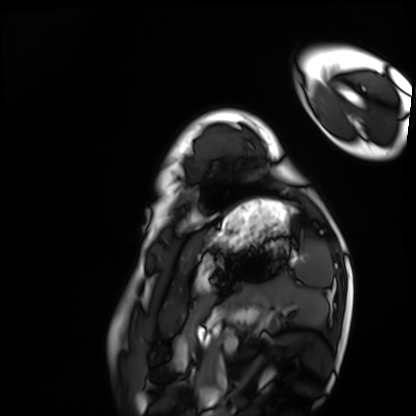
Cardiac MRI. Subject group: healthy volunteer.